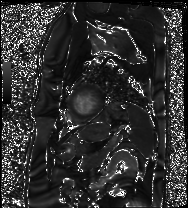
Cardiac MRI.
Subject group: patient.